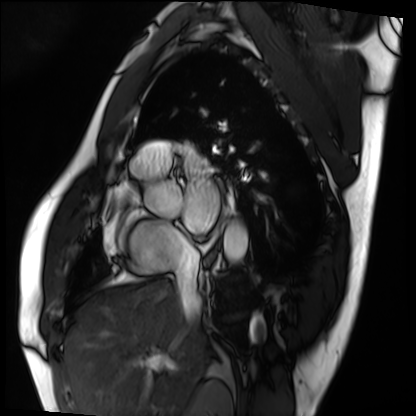
Clinical context:
Cardiac MRI. Subject group: patient.